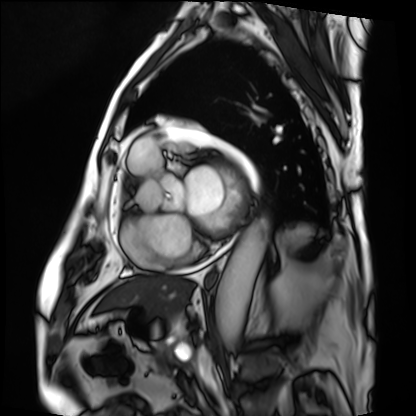
| field | value |
|---|---|
| modality | cardiac MRI |
| subject group | patient |